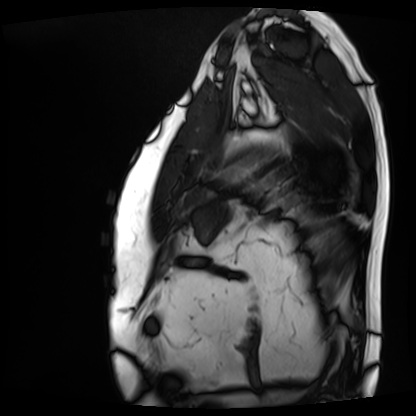
Cardiac MRI.
Subject group: patient.